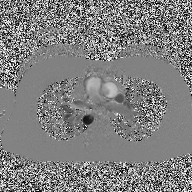
modality — 2D phase-contrast cine MRI of the ascending aorta.